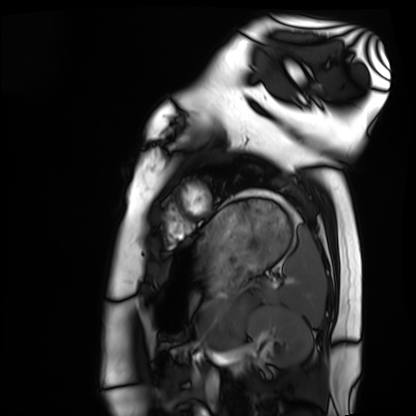
Cardiac MRI. Subject group: healthy volunteer.